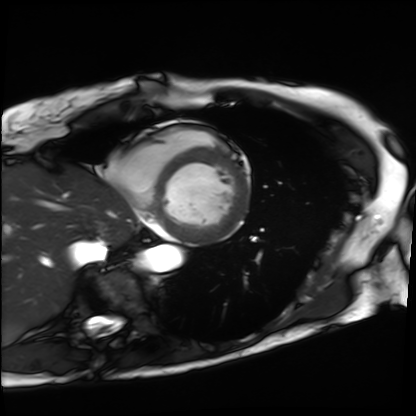
– modality: cardiac MRI
– subject group: patient